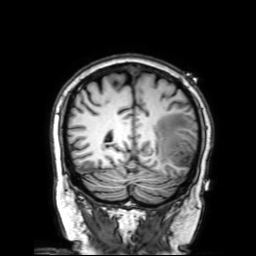
3 Tesla brain MRI. Series: 3D T1-weighted with SENSE. Study: ring-enhancing brain masses.